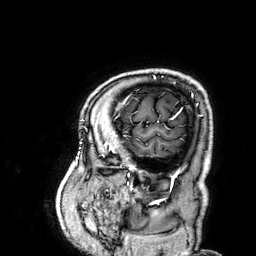
Summary:
3 Tesla brain MRI. Series: 3D T1-weighted. Study: ring-enhancing brain masses.